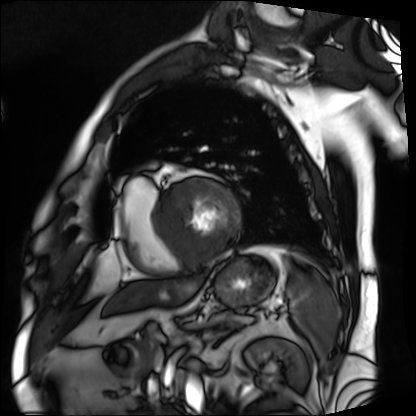
Cardiac MRI.
Subject group: patient.